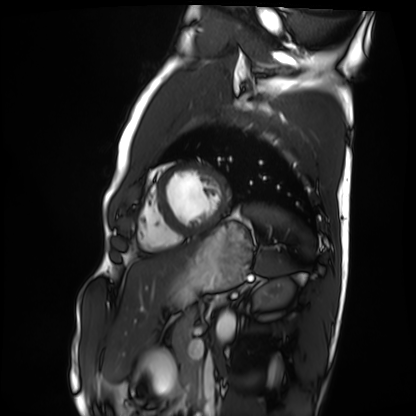
Cardiac MRI. Subject group: healthy volunteer.